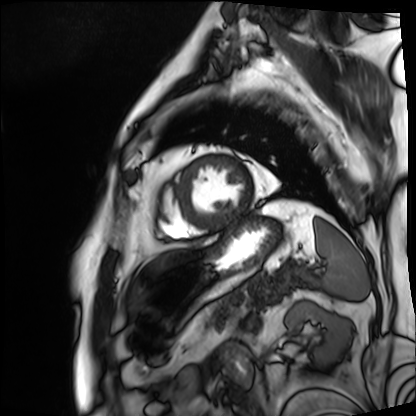
| field | value |
|---|---|
| modality | cardiac MRI |
| subject group | patient |